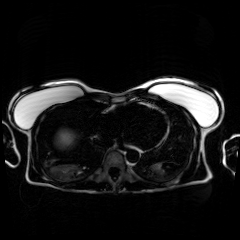
Clinical context: Chemical-shift-encoded cardiac MRI.